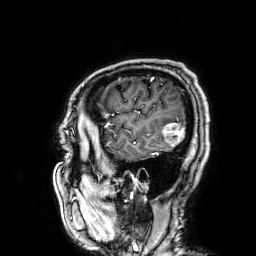
modality = 3 Tesla brain MRI | study = ring-enhancing brain masses.